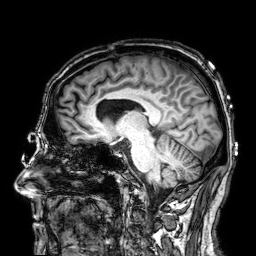
{"modality": {"type": "brain MRI", "field_strength": "3T"}, "series": "3D T1-weighted", "study_topic": "ring-enhancing brain masses"}